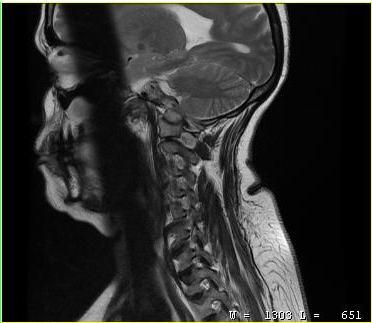
modality: MRI of the cervical spine
study: cervical spondylosis